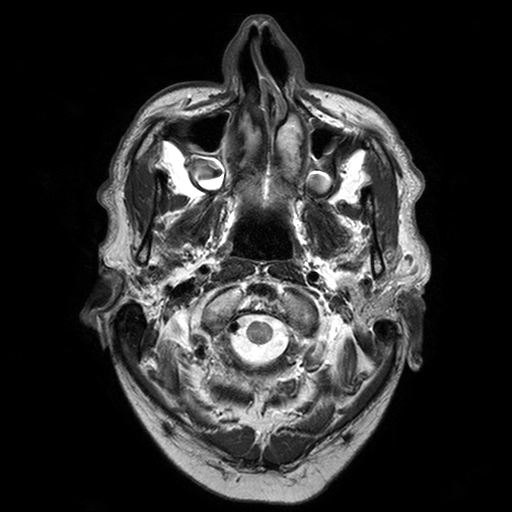
3 Tesla brain MRI.
Series: T2-weighted turbo spin echo with SENSE.
Study: ring-enhancing brain masses.